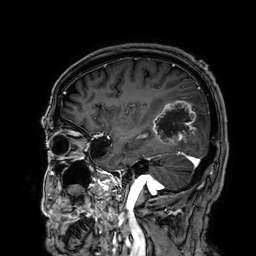
3 Tesla brain MRI.
Series: 3D T1-weighted.
Study: ring-enhancing brain masses.